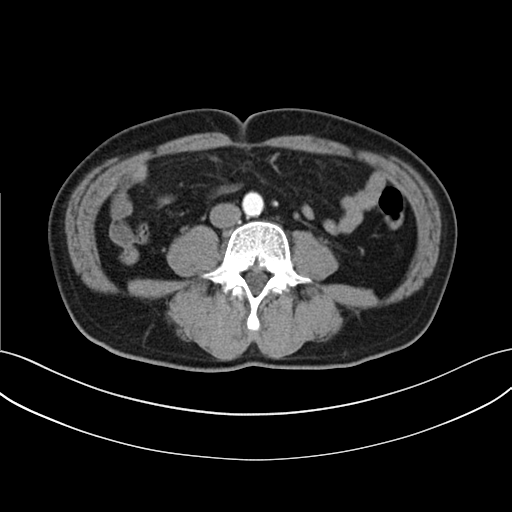
Case:
• modality: multiphase abdominal CT, liver, arterial phase
• patient: male, age 63